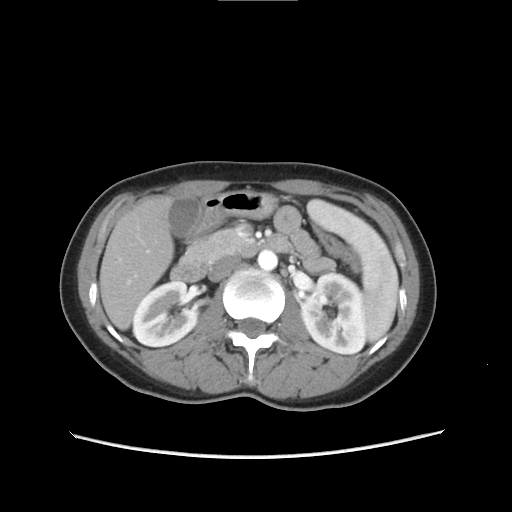
Multiphase abdominal CT, liver, arterial phase. Patient: female, age 36.